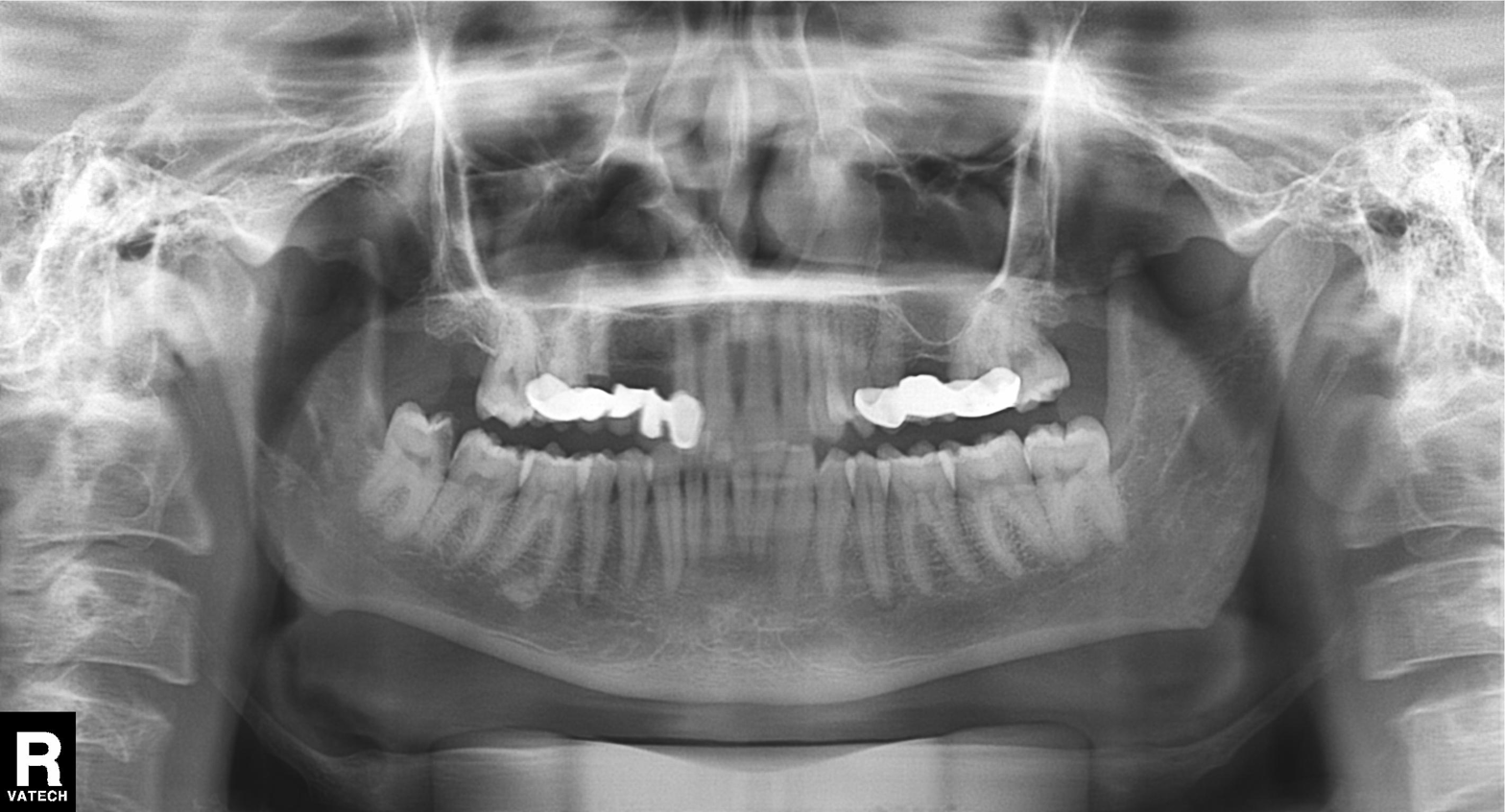
Panoramic dental radiograph (orthopantomogram). Finding: dental caries (cavities).